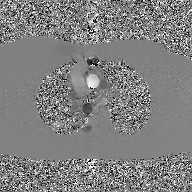
2D phase-contrast cine MRI of the ascending aorta, GAN super-resolution reconstruction.